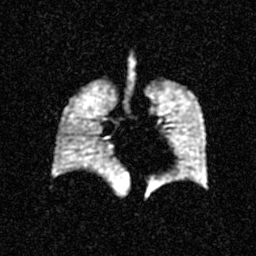
• modality — hyperpolarized 129Xe ventilation MRI of the lungs
• SNR level — 3 of 8 (the deposit holds this scan as its native image and as seven SNR-degraded versions)